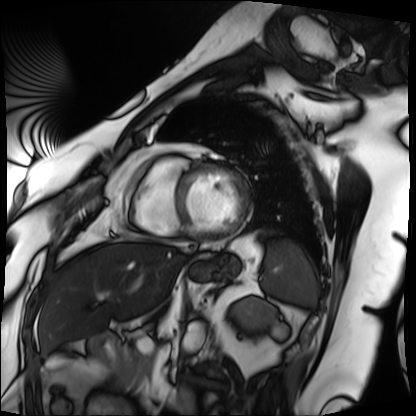
Cardiac MRI.
Subject group: patient.